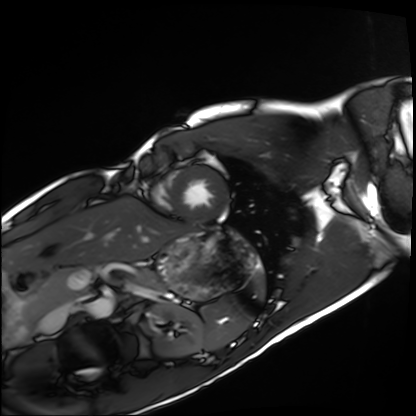
Cardiac MRI. Subject group: healthy volunteer.